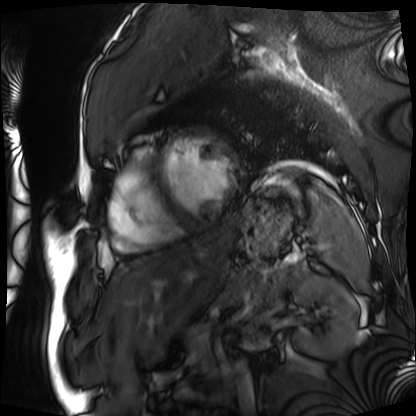
Case summary: Cardiac MRI. Subject group: patient.